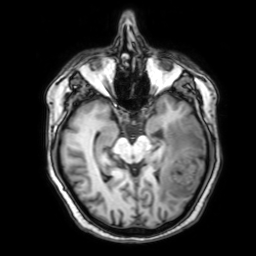
Q: What kind of scan is this?
A: 3 Tesla brain MRI.
Q: Series?
A: 3D T1-weighted with SENSE.
Study: ring-enhancing brain masses.